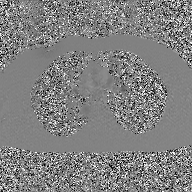
modality: 2D phase-contrast cine MRI of the ascending aorta, GAN super-resolution reconstruction